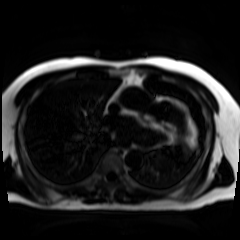
Summary: Chemical-shift-encoded cardiac MRI.